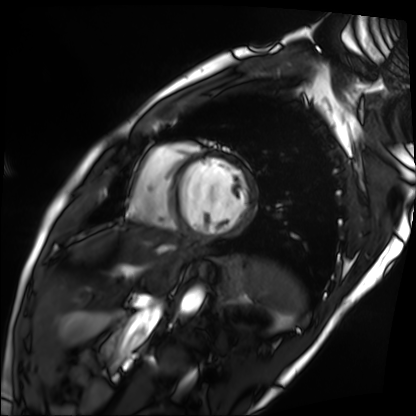
Clinical context:
Cardiac MRI. Subject group: patient.